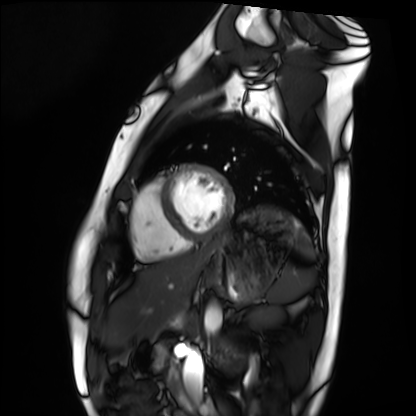
Q: What kind of scan is this?
A: Cardiac MRI.
Subject group: healthy volunteer.